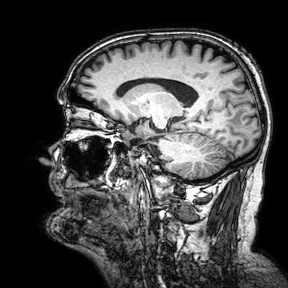
Q: What kind of scan is this?
A: 3 Tesla brain MRI.
Q: Series?
A: 3D T1-weighted turbo field echo with SENSE.
Study: ring-enhancing brain masses.